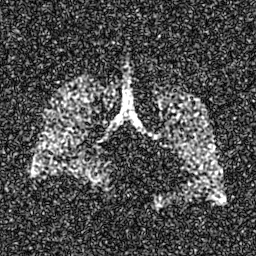
Case:
- modality: hyperpolarized 129Xe ventilation MRI of the lungs
- SNR level: 7 of 8 (the deposit holds this scan as its native image and as seven SNR-degraded versions)